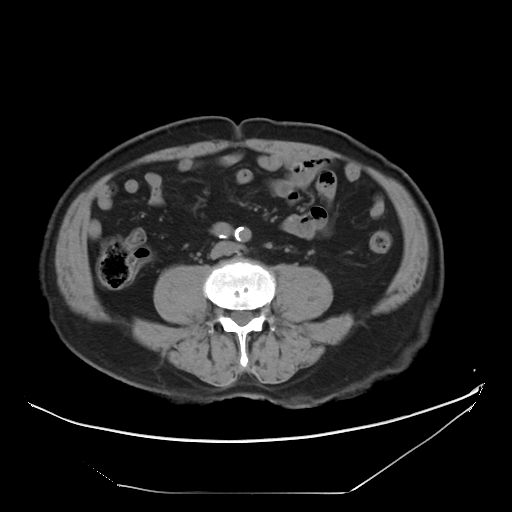
{"modality": {"type": "multiphase abdominal CT", "region": "liver", "phase": "non-contrast"}, "patient": {"sex": "male", "age": 75}, "history": ["cirrhosis", "viral hepatitis"]}